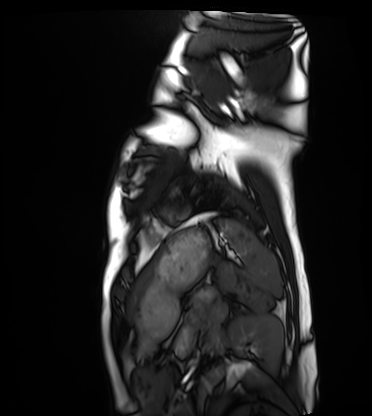
Cardiac MRI. Subject group: healthy volunteer.